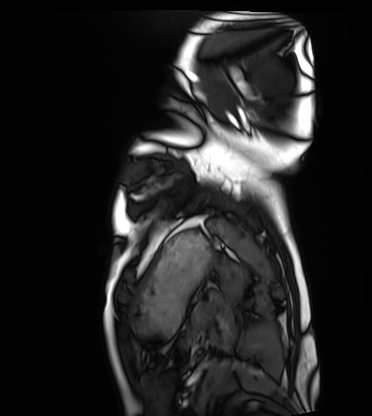
Case:
• modality · cardiac MRI
• subject group · healthy volunteer